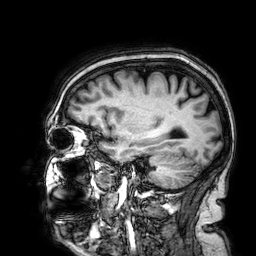
3 Tesla brain MRI.
Series: 3D T1-weighted.
Study: ring-enhancing brain masses.